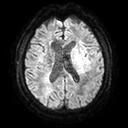
3 Tesla brain MRI.
Series: diffusion tensor imaging (medium iso).
Study: ring-enhancing brain masses.